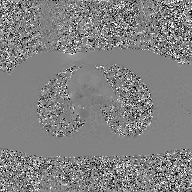
modality: 2D phase-contrast cine MRI of the ascending aorta, GAN super-resolution reconstruction.